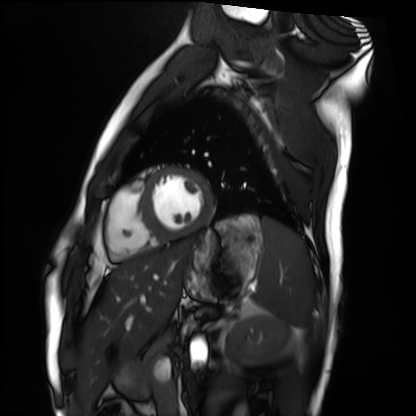
modality = cardiac MRI; subject group = healthy volunteer.